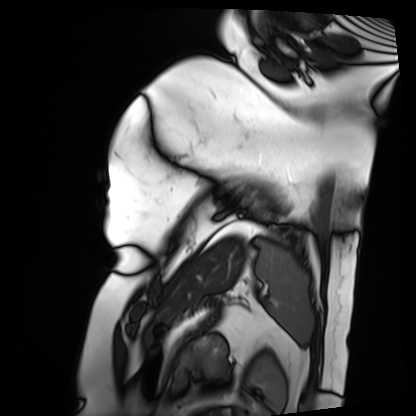
Cardiac MRI.
Subject group: patient.